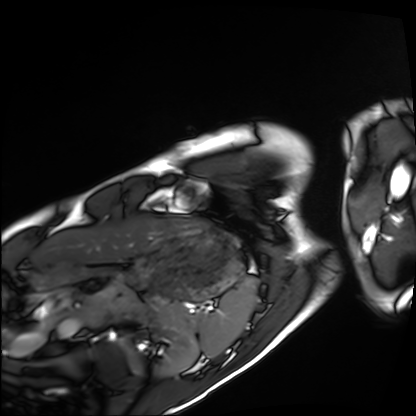
Cardiac MRI.
Subject group: healthy volunteer.